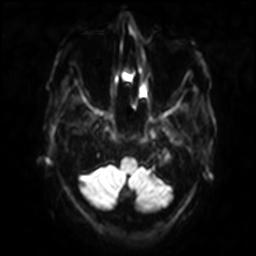
Q: What kind of scan is this?
A: 3 Tesla brain MRI.
Q: Series?
A: Diffusion-weighted imaging with SENSE (WIP).
Study: ring-enhancing brain masses.